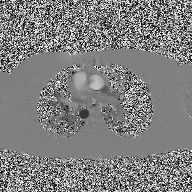
2D phase-contrast cine MRI of the ascending aorta, high-resolution GRAPPA acquisition.